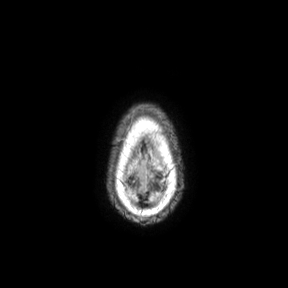
Clinical context: 3 Tesla brain MRI. Series: axial. Study: ring-enhancing brain masses.